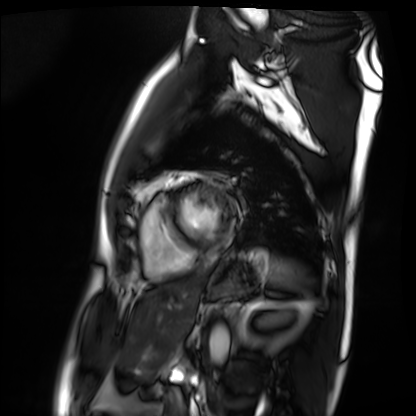
<scan>
  <modality>cardiac MRI</modality>
  <cohort>patient</cohort>
</scan>